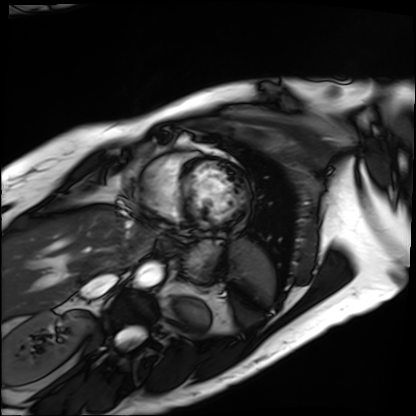
Cardiac MRI. Subject group: patient.